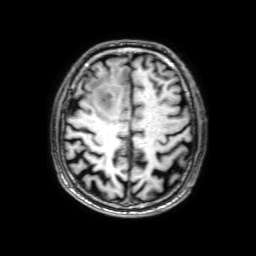
  modality:
    type: brain MRI
    field_strength: 3T
  series: 3D T1-weighted with SENSE
  study_topic: ring-enhancing brain masses